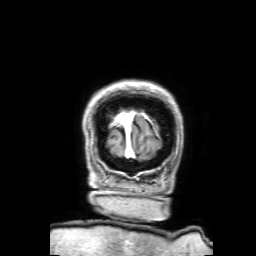
<study>
<modality>
  <type>brain MRI</type>
  <field_strength>3T</field_strength>
</modality>
<series>3D T1-weighted with SENSE</series>
<study_topic>ring-enhancing brain masses</study_topic>
</study>